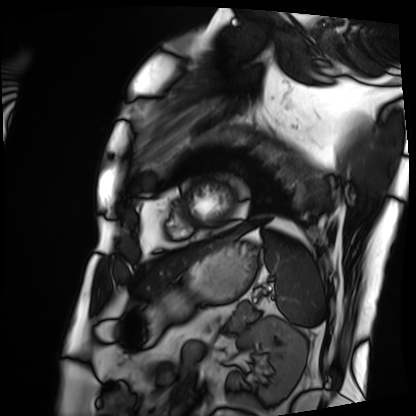
Summary:
Cardiac MRI. Subject group: patient.